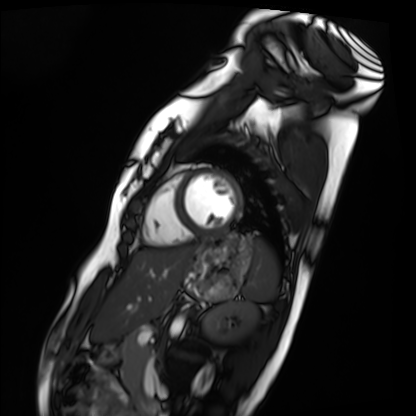
modality: cardiac MRI, subject group: healthy volunteer.